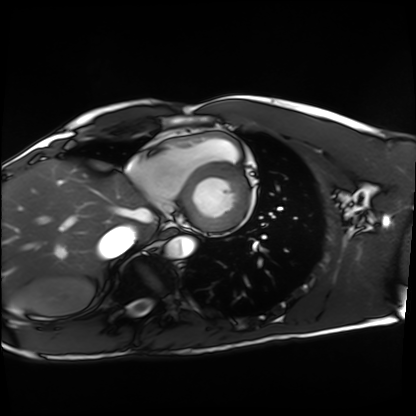
Cardiac MRI. Subject group: healthy volunteer.